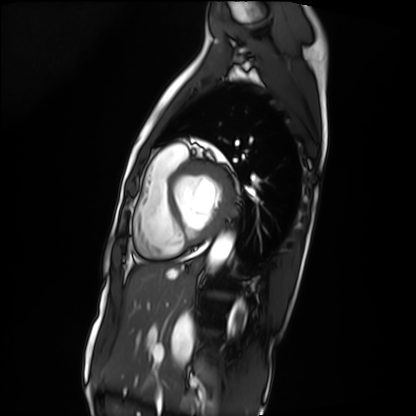
modality = cardiac MRI, subject group = patient.